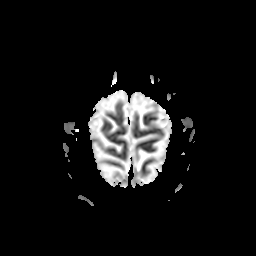
modality — 3 Tesla brain MRI; series — apparent diffusion coefficient (ADC) map; study — ring-enhancing brain masses.